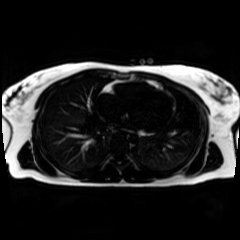
Chemical-shift-encoded cardiac MRI.